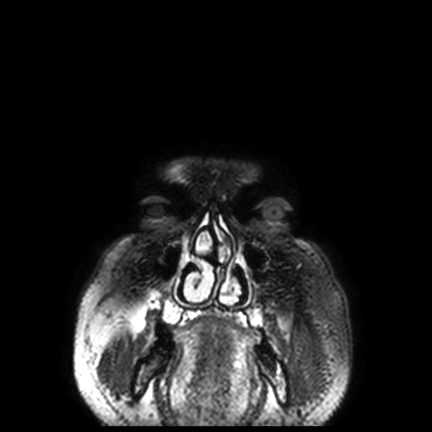
{"modality": {"type": "brain MRI", "field_strength": "3T"}, "series": "FLAIR VISTA with SENSE", "study_topic": "ring-enhancing brain masses"}